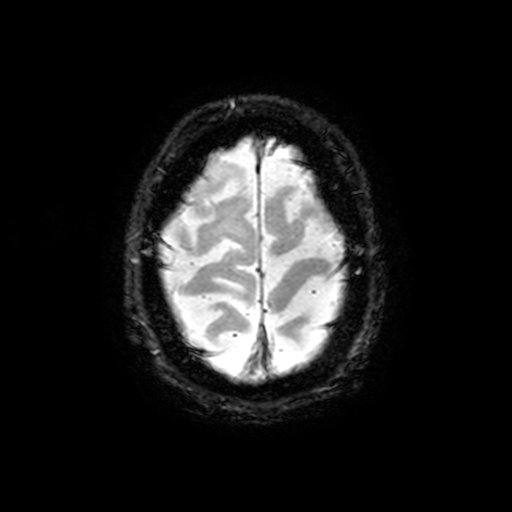
<case>
<modality>
  <type>brain MRI</type>
  <field_strength>3T</field_strength>
</modality>
<series>T2-weighted fast field echo with SENSE</series>
<study_topic>ring-enhancing brain masses</study_topic>
</case>